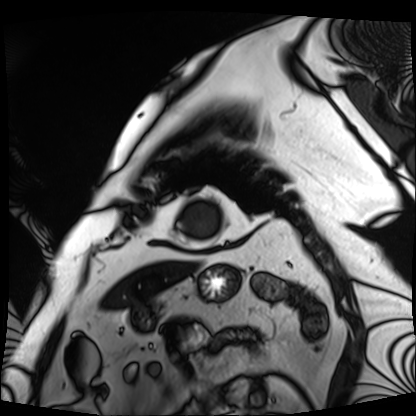
{
  "modality": "cardiac MRI",
  "cohort": "patient"
}